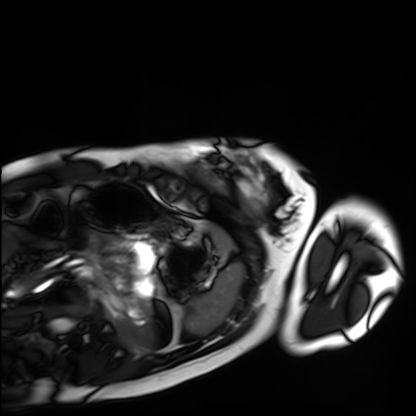
modality = cardiac MRI, subject group = healthy volunteer.